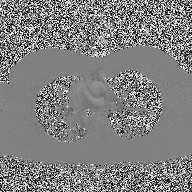
Case summary: 2D phase-contrast cine MRI of the ascending aorta, high-resolution GRAPPA acquisition.